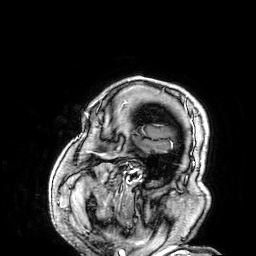
Q: What kind of scan is this?
A: 3 Tesla brain MRI.
Study: ring-enhancing brain masses.